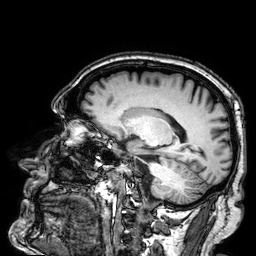
3 Tesla brain MRI. Series: 3D T1-weighted. Study: ring-enhancing brain masses.